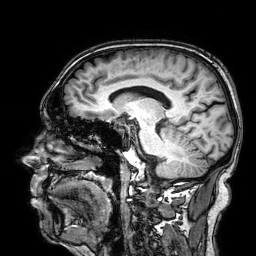
{"modality": {"type": "brain MRI", "field_strength": "3T"}, "series": "3D T1-weighted", "study_topic": "ring-enhancing brain masses"}